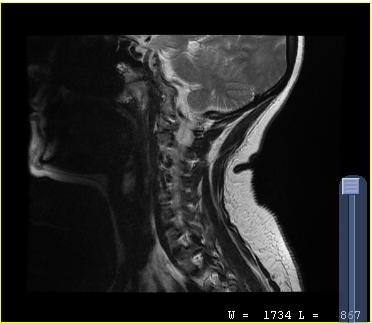
<record>
<modality>
  <type>cervical spine MRI</type>
</modality>
<study_topic>cervical spondylosis</study_topic>
</record>